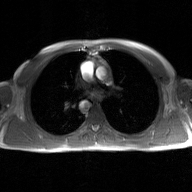
modality=2D phase-contrast cine MRI of the ascending aorta, GAN super-resolution reconstruction.